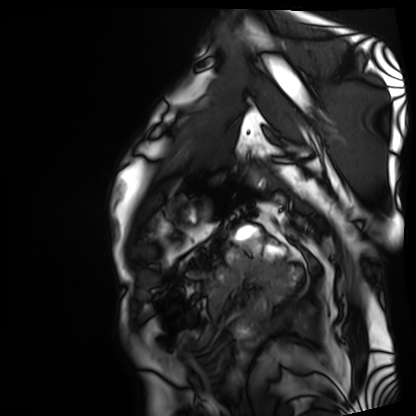
modality: cardiac MRI
subject group: patient